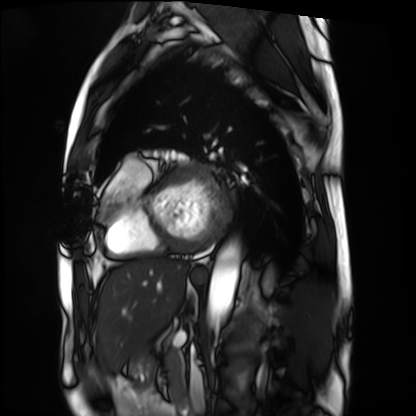
Cardiac MRI.
Subject group: patient.